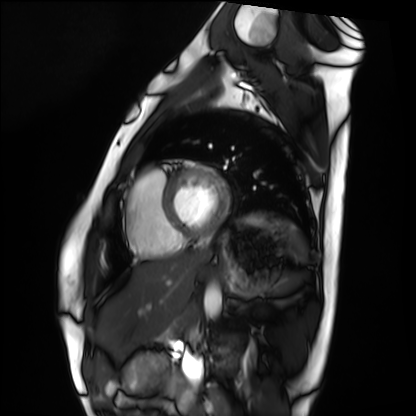
Cardiac MRI. Subject group: healthy volunteer.